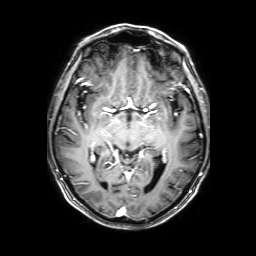
3 Tesla brain MRI.
Series: 3D T1-weighted with SENSE.
Study: ring-enhancing brain masses.